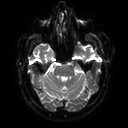
3 Tesla brain MRI.
Series: diffusion tensor imaging (medium iso).
Study: ring-enhancing brain masses.